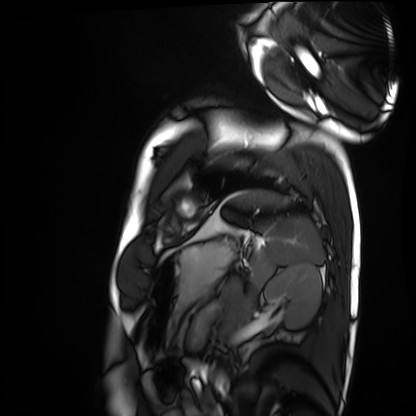
Case summary:
Cardiac MRI. Subject group: healthy volunteer.